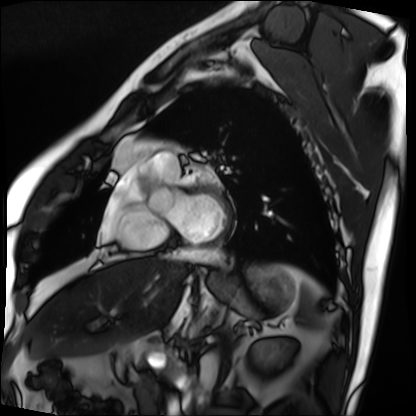
Cardiac MRI. Subject group: patient.